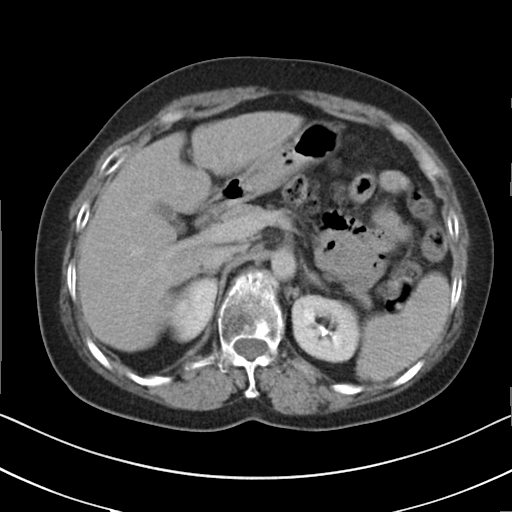
Multiphase abdominal CT, liver, delayed phase.
Patient: female, age 58.
History: cirrhosis, viral hepatitis.